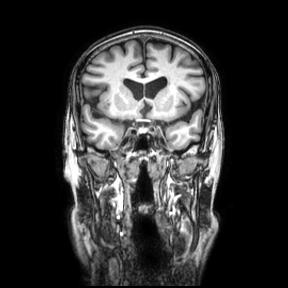
modality = 3 Tesla brain MRI; series = coronal; study = ring-enhancing brain masses.